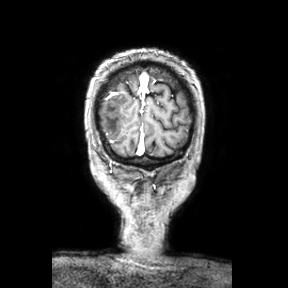
Q: What kind of scan is this?
A: 3 Tesla brain MRI.
Q: Series?
A: Coronal.
Study: ring-enhancing brain masses.